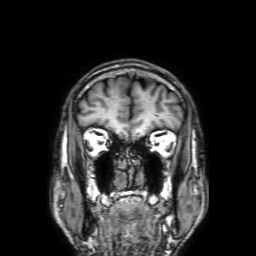
modality:
  type: brain MRI
  field_strength: 3T
series: 3D T1-weighted with SENSE
study_topic: ring-enhancing brain masses